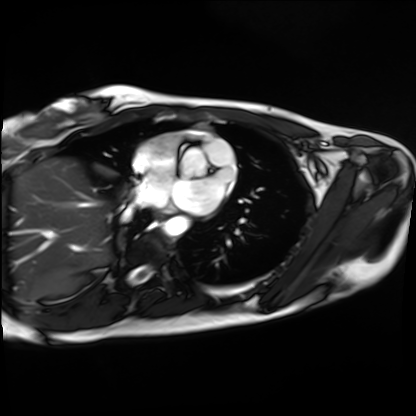
modality — cardiac MRI
subject group — healthy volunteer